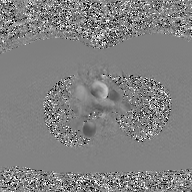
2D phase-contrast cine MRI of the ascending aorta, GAN super-resolution reconstruction.